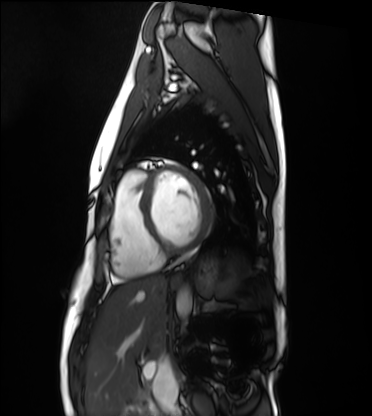
| field | value |
|---|---|
| modality | cardiac MRI |
| subject group | healthy volunteer |